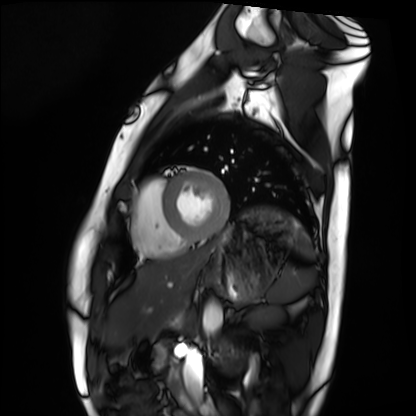
| field | value |
|---|---|
| modality | cardiac MRI |
| subject group | healthy volunteer |